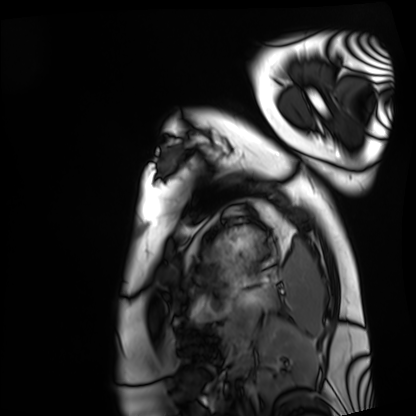
Clinical context: Cardiac MRI. Subject group: healthy volunteer.